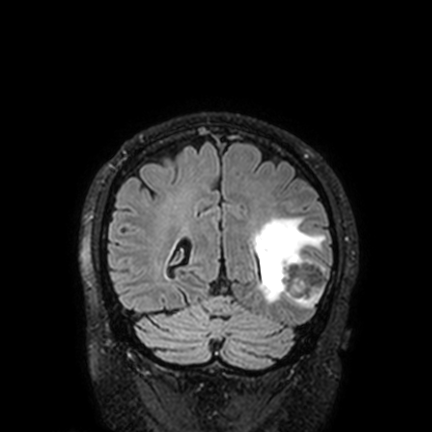
<study>
<modality>
  <type>brain MRI</type>
  <field_strength>3T</field_strength>
</modality>
<series>FLAIR VISTA with SENSE</series>
<study_topic>ring-enhancing brain masses</study_topic>
</study>